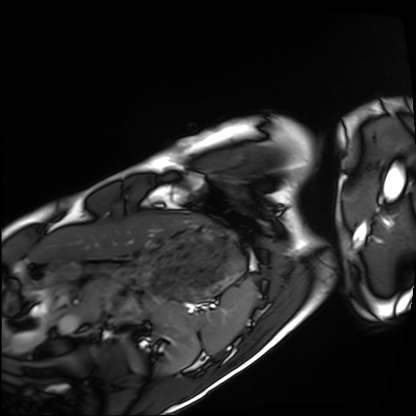
Summary:
Cardiac MRI. Subject group: healthy volunteer.